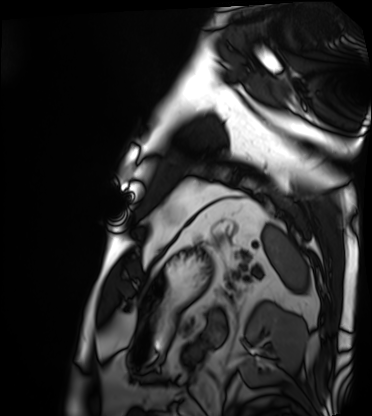
<case>
  <modality>cardiac MRI</modality>
  <cohort>patient</cohort>
</case>